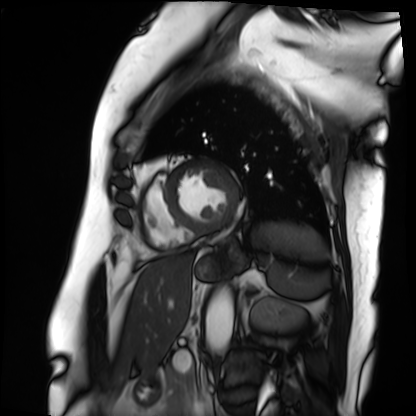
modality = cardiac MRI
subject group = patient